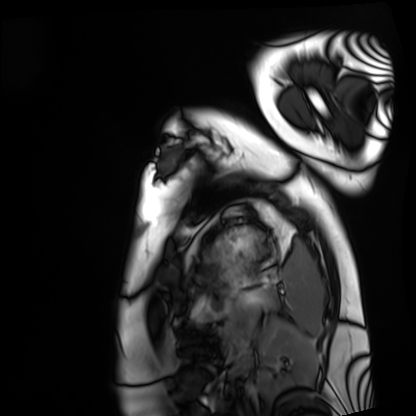
Cardiac MRI. Subject group: healthy volunteer.